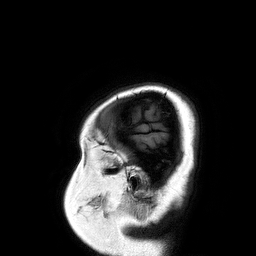
3 Tesla brain MRI. Series: 3D T1-weighted turbo field echo. Study: ring-enhancing brain masses.